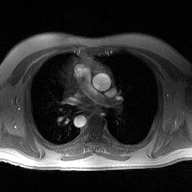
Summary: 2D phase-contrast cine MRI of the ascending aorta, high-resolution GRAPPA acquisition.